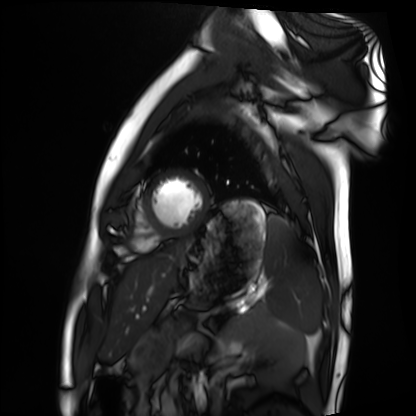
| field | value |
|---|---|
| modality | cardiac MRI |
| subject group | healthy volunteer |